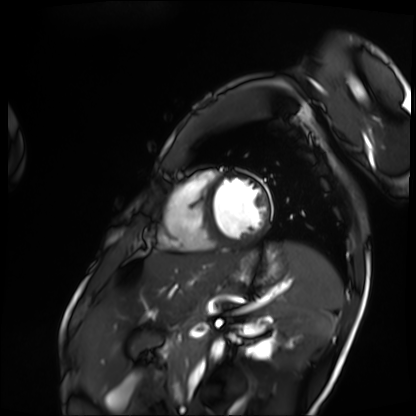
- modality: cardiac MRI
- subject group: patient